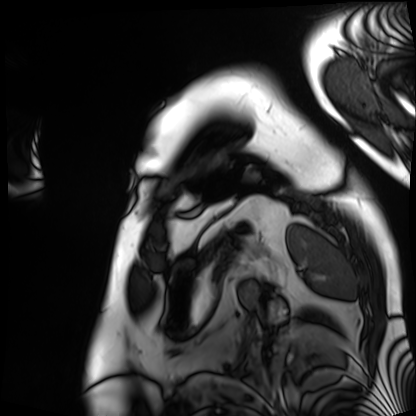
Case summary: Cardiac MRI. Subject group: patient.